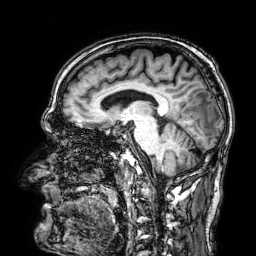
- modality: 3 Tesla brain MRI
- series: 3D T1-weighted
- study: ring-enhancing brain masses